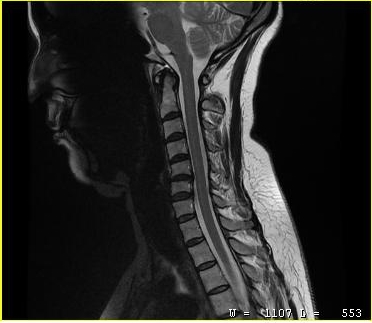
Q: What kind of scan is this?
A: MRI of the cervical spine.
Study: cervical spondylosis.